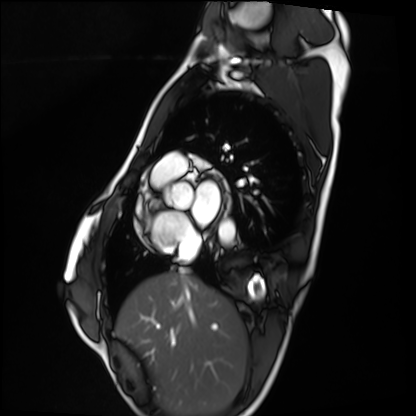
Q: What kind of scan is this?
A: Cardiac MRI.
Subject group: healthy volunteer.